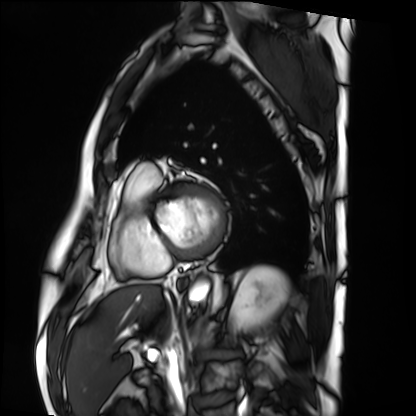
– modality · cardiac MRI
– subject group · patient